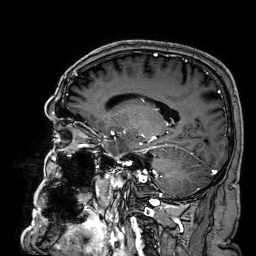
Summary: 3 Tesla brain MRI. Series: 3D T1-weighted. Study: ring-enhancing brain masses.